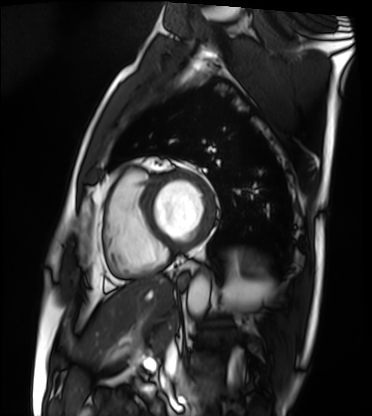
Cardiac MRI. Subject group: patient.